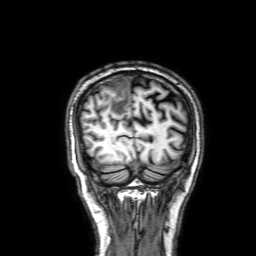
3 Tesla brain MRI. Series: 3D T1-weighted with SENSE. Study: ring-enhancing brain masses.